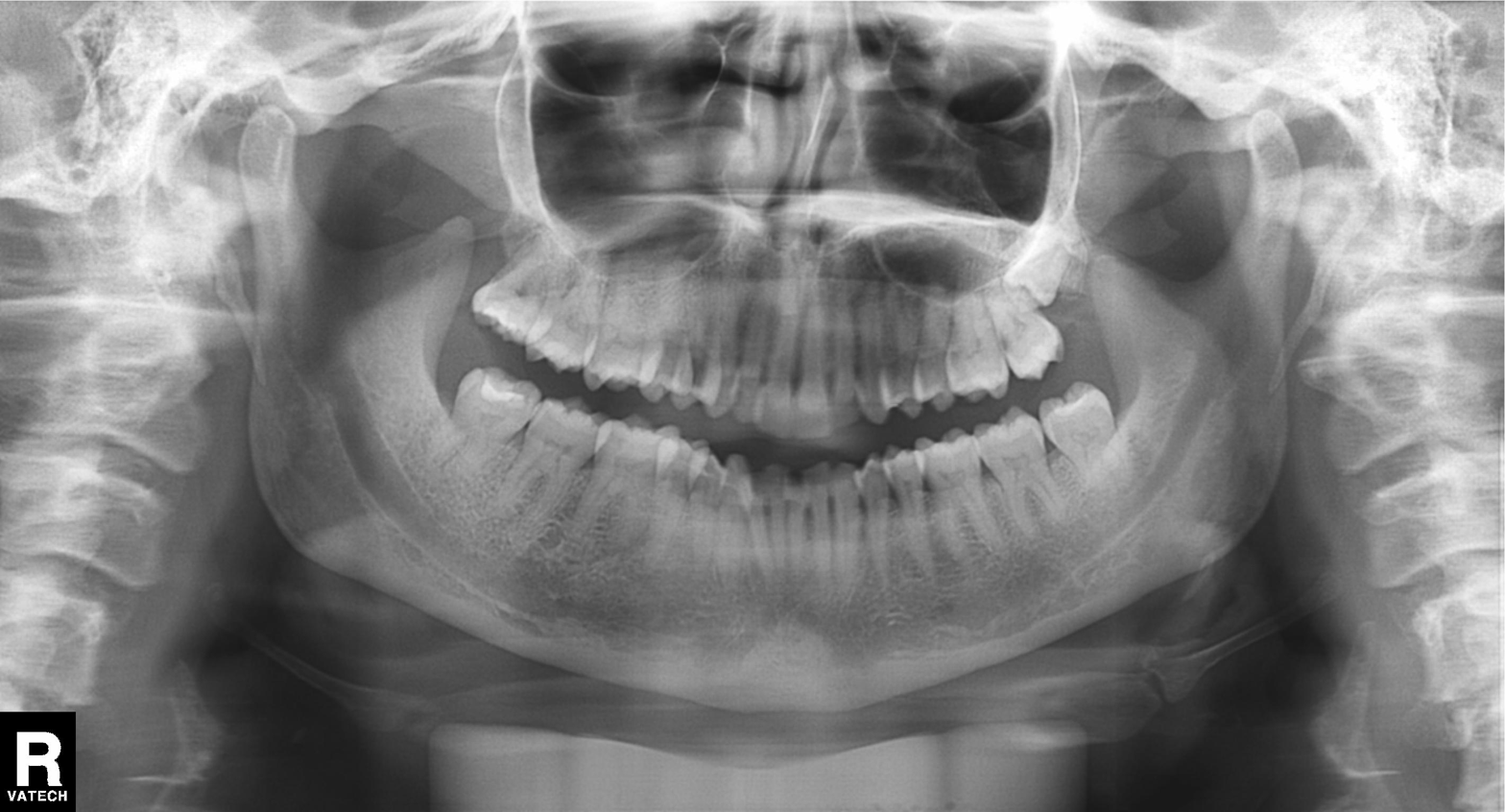
– modality: panoramic dental radiograph (orthopantomogram)
– finding: alveolar bone loss